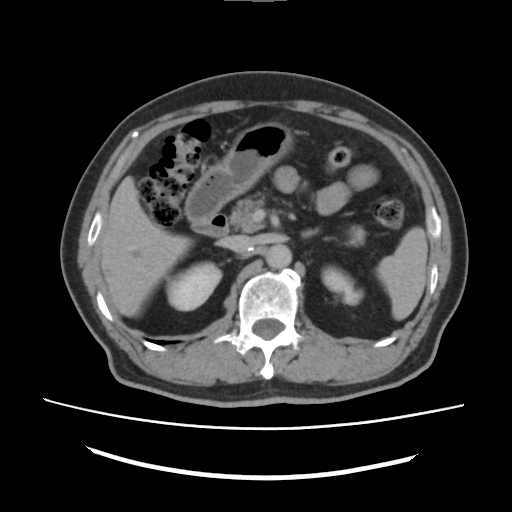
{"modality": {"type": "multiphase abdominal CT", "region": "liver", "phase": "delayed"}, "patient": {"sex": "male", "age": 73}}